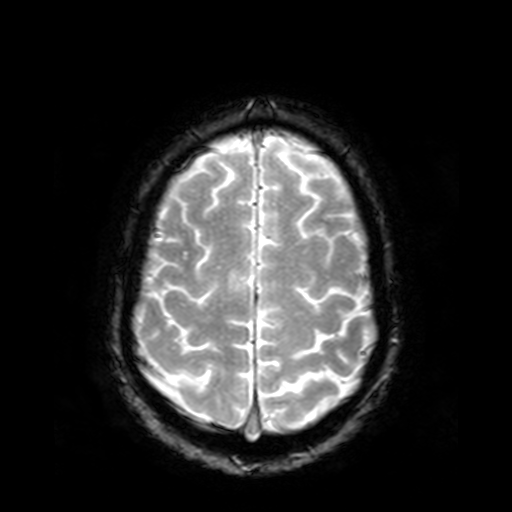
  modality:
    type: brain MRI
    field_strength: 3T
  series: T2-weighted fast field echo
  study_topic: ring-enhancing brain masses